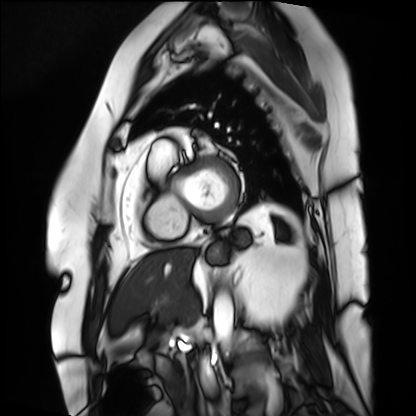
{
  "modality": "cardiac MRI",
  "cohort": "patient"
}